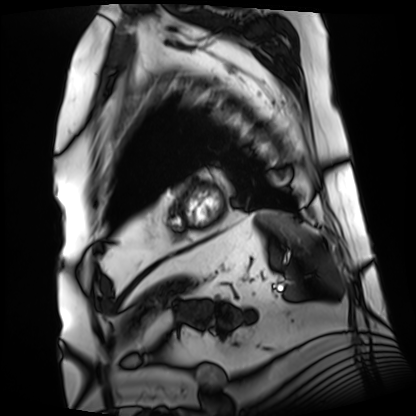
Summary: Cardiac MRI. Subject group: patient.